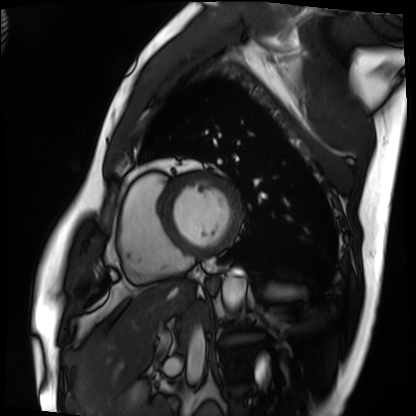
Case summary: Cardiac MRI. Subject group: patient.